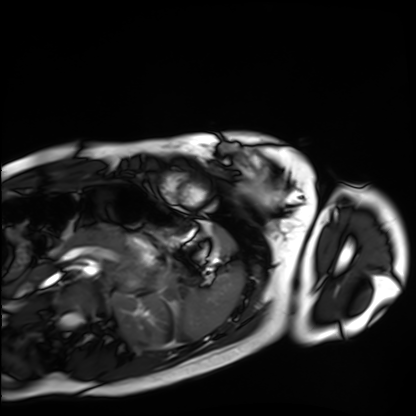
Q: What kind of scan is this?
A: Cardiac MRI.
Subject group: healthy volunteer.